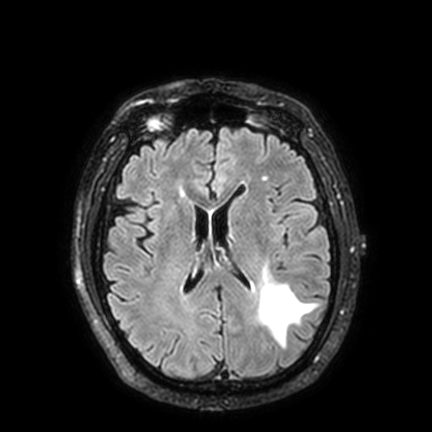
modality = 3 Tesla brain MRI | study = ring-enhancing brain masses.